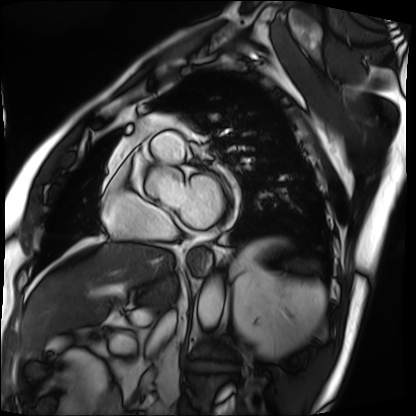
modality = cardiac MRI, subject group = patient.